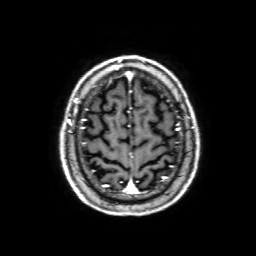
modality = 3 Tesla brain MRI; series = 3D T1-weighted with SENSE; study = ring-enhancing brain masses.